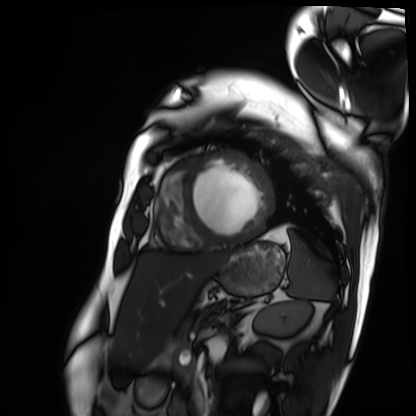
Q: What kind of scan is this?
A: Cardiac MRI.
Subject group: patient.